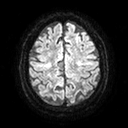
Case summary: 3 Tesla brain MRI. Series: diffusion tensor imaging (medium iso). Study: ring-enhancing brain masses.